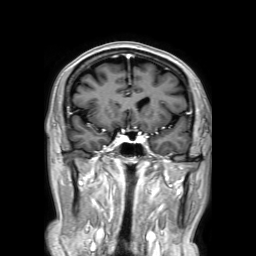
Case:
- modality · 3 Tesla brain MRI
- study · ring-enhancing brain masses